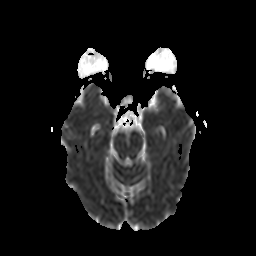
modality = 3 Tesla brain MRI; series = diffusion-weighted imaging with CLEAR; study = ring-enhancing brain masses.